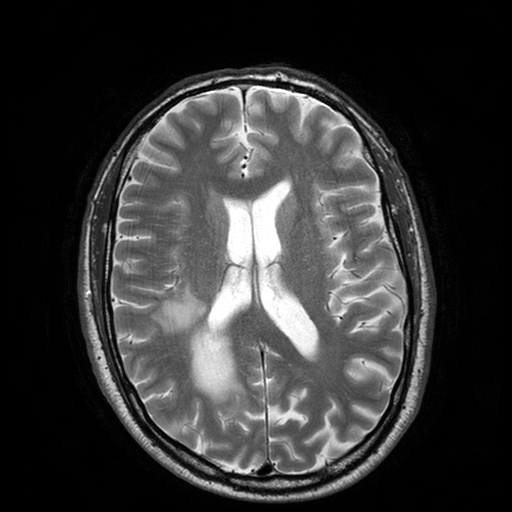
<record>
<modality>
  <type>brain MRI</type>
  <field_strength>3T</field_strength>
</modality>
<study_topic>ring-enhancing brain masses</study_topic>
</record>